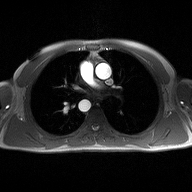
modality = 2D phase-contrast cine MRI of the ascending aorta.